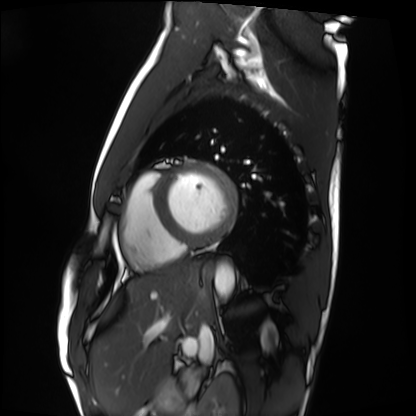
Cardiac MRI.
Subject group: healthy volunteer.